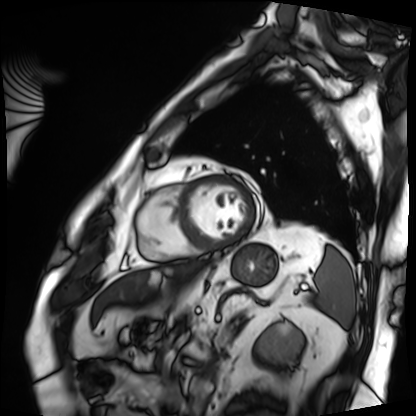
Cardiac MRI.
Subject group: patient.